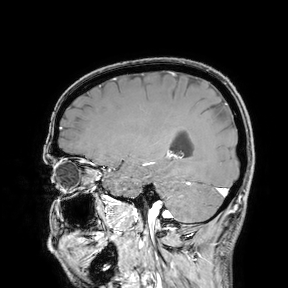
Summary: 3 Tesla brain MRI. Study: ring-enhancing brain masses.